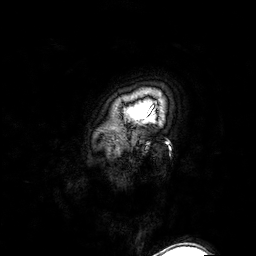
{
  "modality": {
    "type": "brain MRI",
    "field_strength": "3T"
  },
  "series": "3D T1-weighted turbo field echo with SENSE",
  "study_topic": "ring-enhancing brain masses"
}